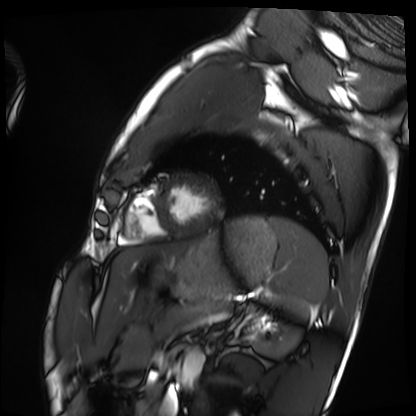
Cardiac MRI.
Subject group: healthy volunteer.